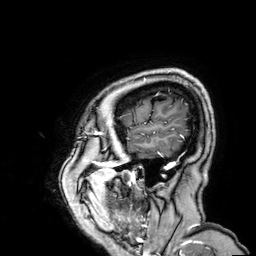
Summary:
3 Tesla brain MRI. Series: 3D T1-weighted. Study: ring-enhancing brain masses.